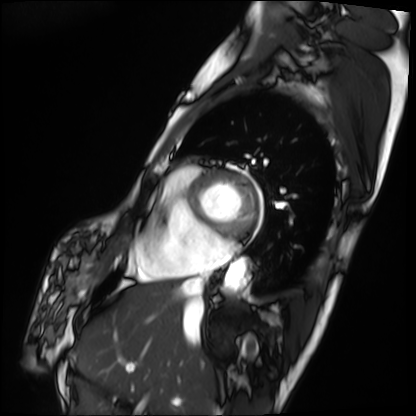
Q: What kind of scan is this?
A: Cardiac MRI.
Subject group: patient.